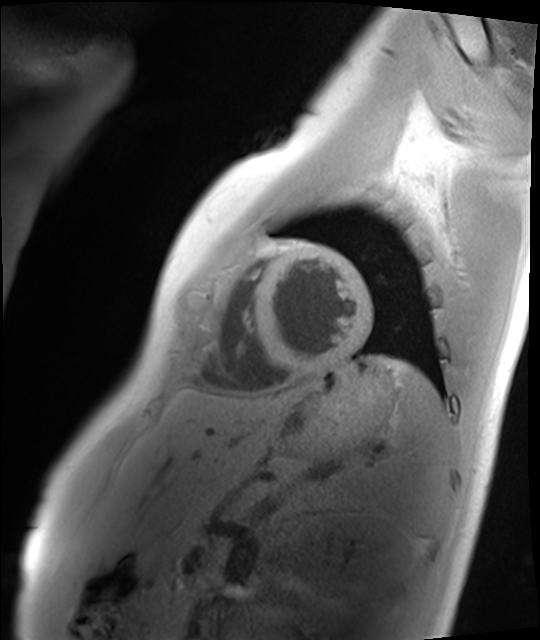
Clinical context: Cardiac MRI. Subject group: healthy volunteer.